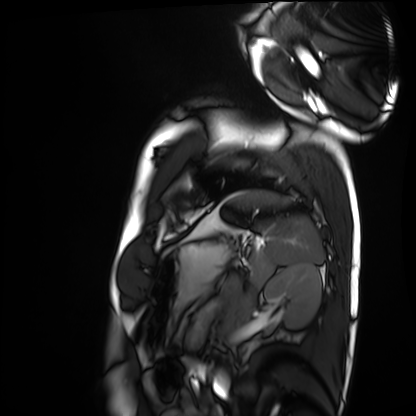
{
  "modality": "cardiac MRI",
  "cohort": "healthy volunteer"
}